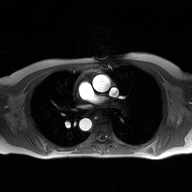
modality: 2D phase-contrast cine MRI of the ascending aorta